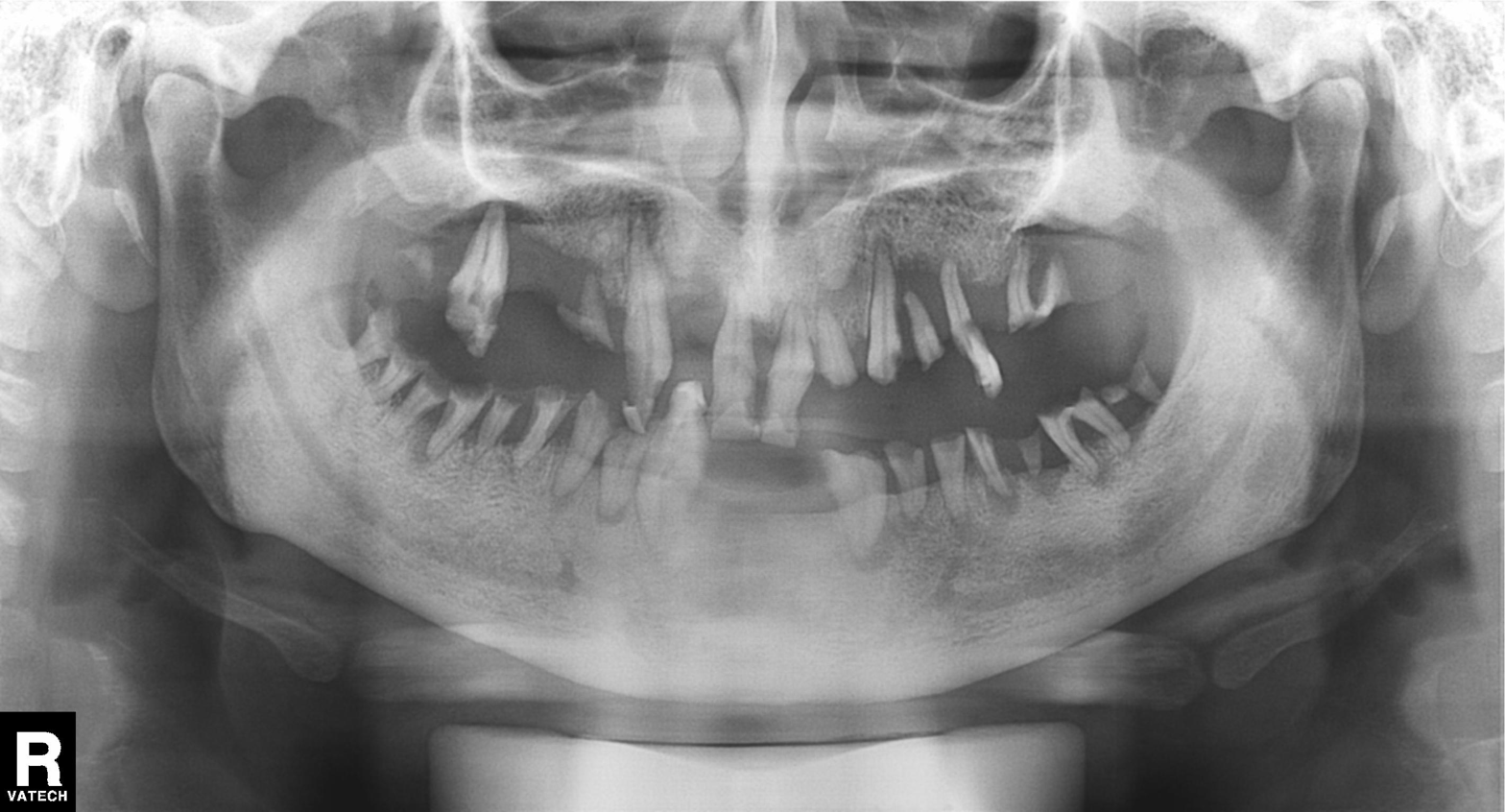
modality: panoramic dental radiograph (orthopantomogram)
finding: alveolar bone loss